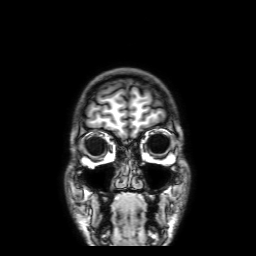
{
  "modality": {
    "type": "brain MRI",
    "field_strength": "3T"
  },
  "series": "3D T1-weighted with SENSE",
  "study_topic": "ring-enhancing brain masses"
}